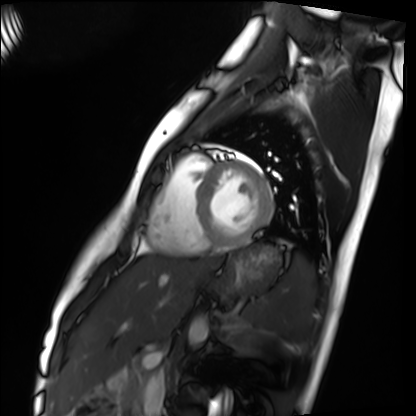
Cardiac MRI.
Subject group: healthy volunteer.